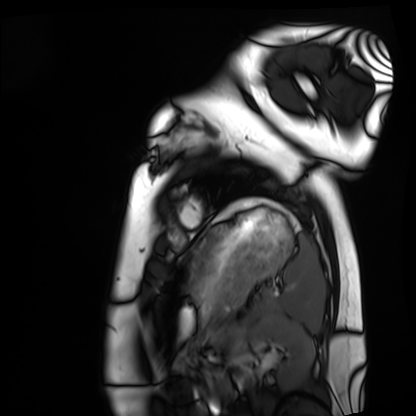
Cardiac MRI.
Subject group: healthy volunteer.